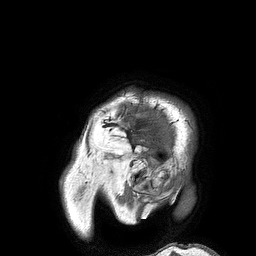
modality = 3 Tesla brain MRI; series = 3D T1-weighted turbo field echo; study = ring-enhancing brain masses.